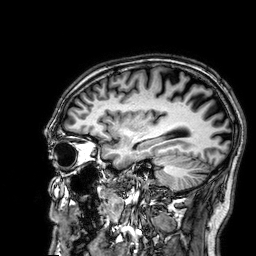
3 Tesla brain MRI.
Series: 3D T1-weighted.
Study: ring-enhancing brain masses.